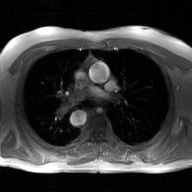
modality = 2D phase-contrast cine MRI of the ascending aorta, GAN super-resolution reconstruction.